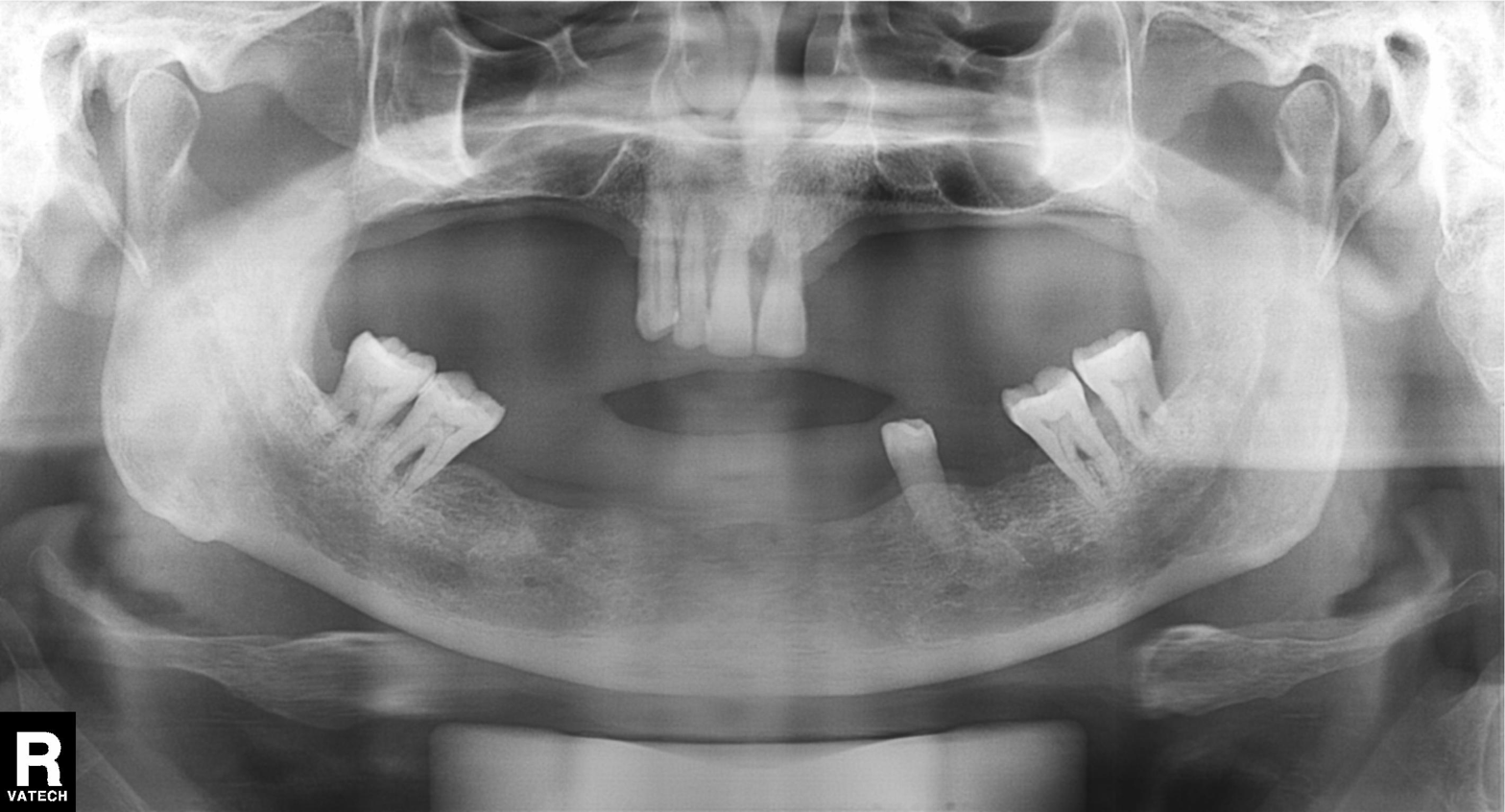
modality — panoramic dental radiograph (orthopantomogram)
finding — alveolar bone loss